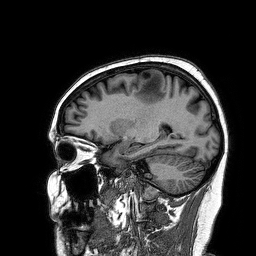
3 Tesla brain MRI.
Series: 3D T1-weighted turbo field echo.
Study: ring-enhancing brain masses.